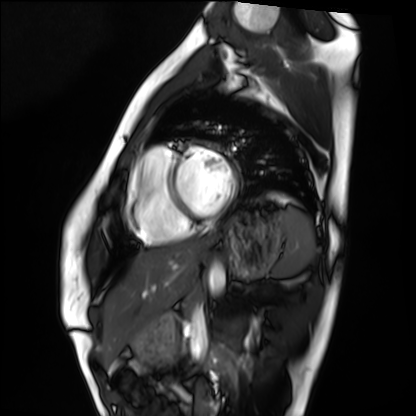
modality = cardiac MRI | subject group = healthy volunteer.